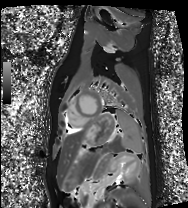
Cardiac MRI. Subject group: healthy volunteer.